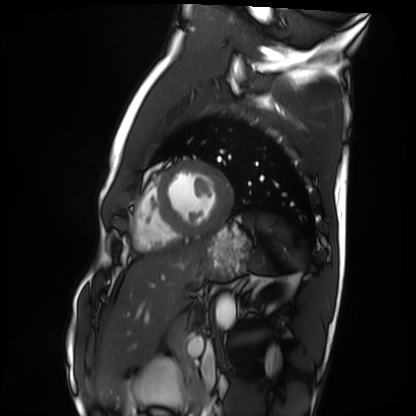
{"modality": "cardiac MRI", "cohort": "healthy volunteer"}